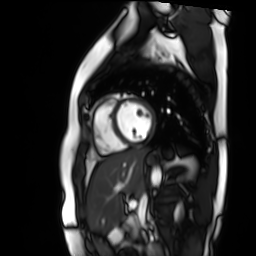
Q: What kind of scan is this?
A: Cardiac MR image of the myocardium.
Subject cohort: healthy volunteer.